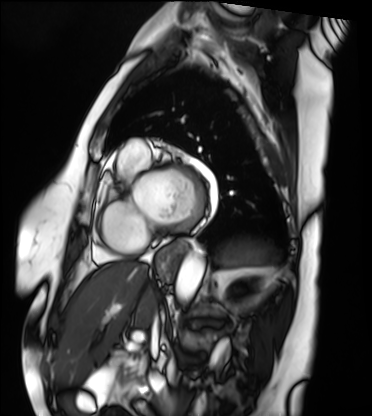
{"modality": "cardiac MRI", "cohort": "patient"}